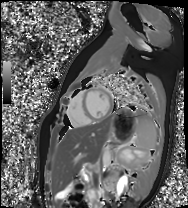
| field | value |
|---|---|
| modality | cardiac MR image of the myocardium |
| subject cohort | healthy volunteer |